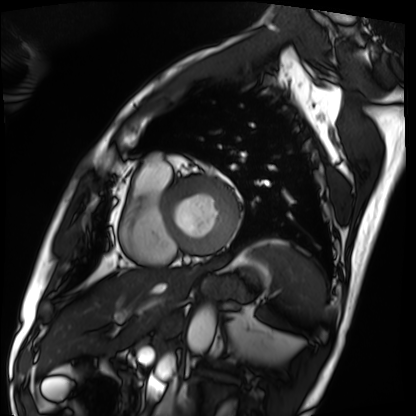
Summary:
Cardiac MRI. Subject group: patient.